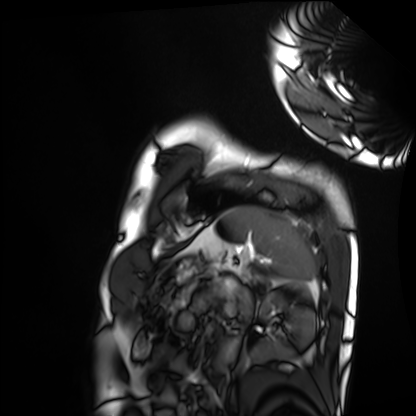
modality — cardiac MRI; subject group — healthy volunteer.